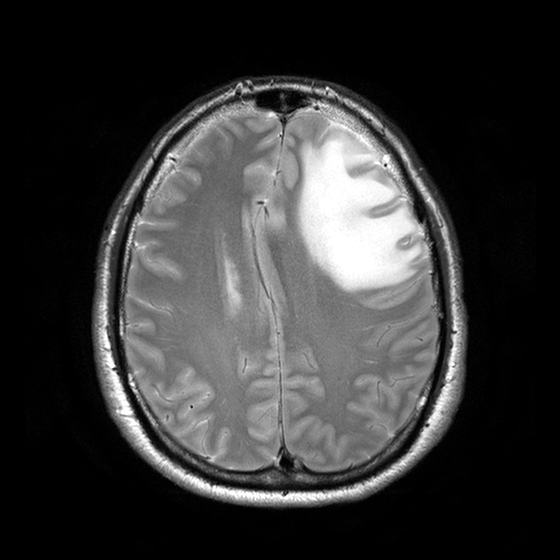
3 Tesla brain MRI.
Series: T2-weighted turbo spin echo with CLEAR.
Study: ring-enhancing brain masses.